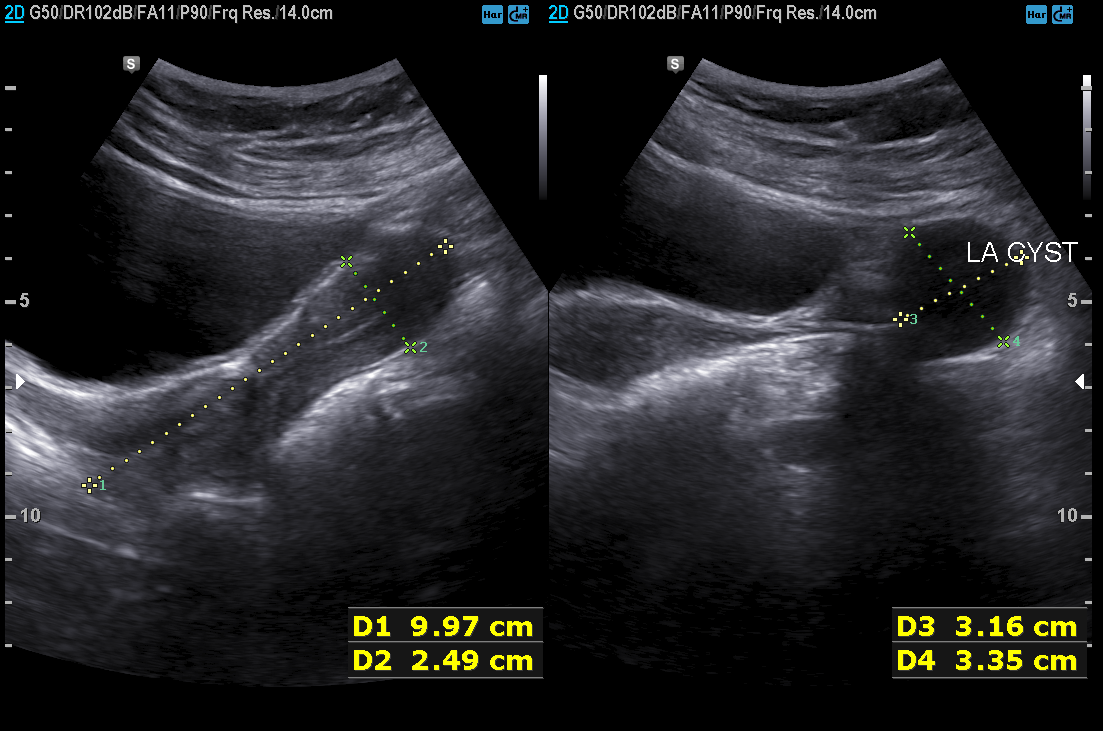
Clinical context:
Genitourinary ultrasound.